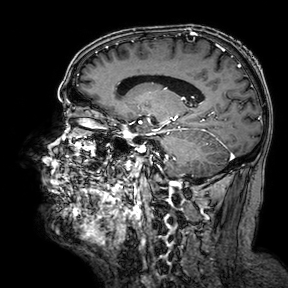
3 Tesla brain MRI.
Study: ring-enhancing brain masses.